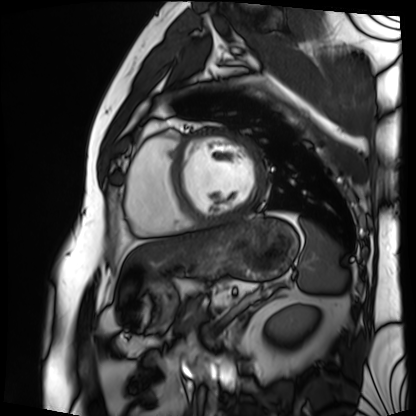
| field | value |
|---|---|
| modality | cardiac MRI |
| subject group | patient |